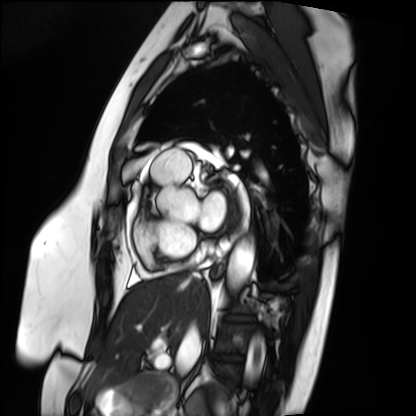
Cardiac MRI. Subject group: patient.